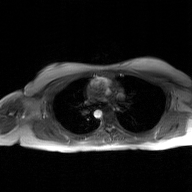
2D phase-contrast cine MRI of the ascending aorta, GAN super-resolution reconstruction.